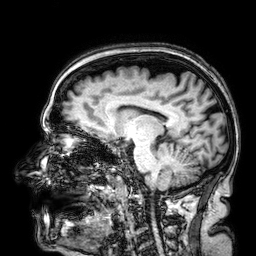
| field | value |
|---|---|
| modality | 3 Tesla brain MRI |
| study | ring-enhancing brain masses |